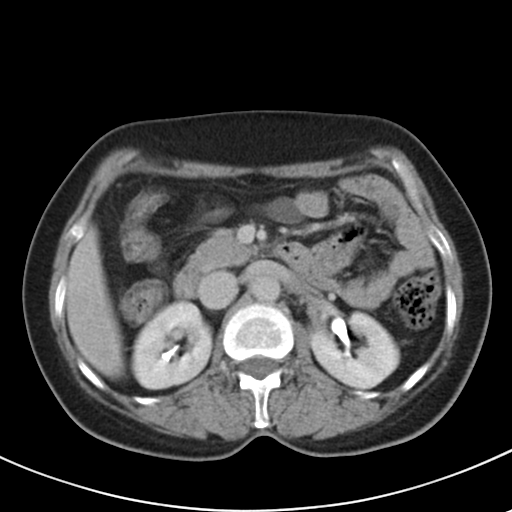
Case summary:
Multiphase abdominal CT, liver, delayed phase. Patient: female, age 48. History: prior chemotherapy.